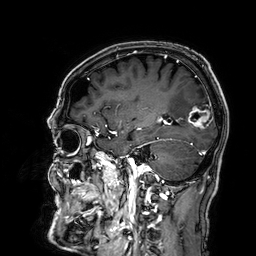
• modality: 3 Tesla brain MRI
• series: 3D T1-weighted
• study: ring-enhancing brain masses